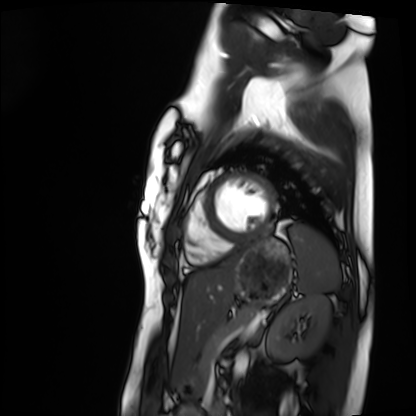
* modality — cardiac MRI
* subject group — healthy volunteer